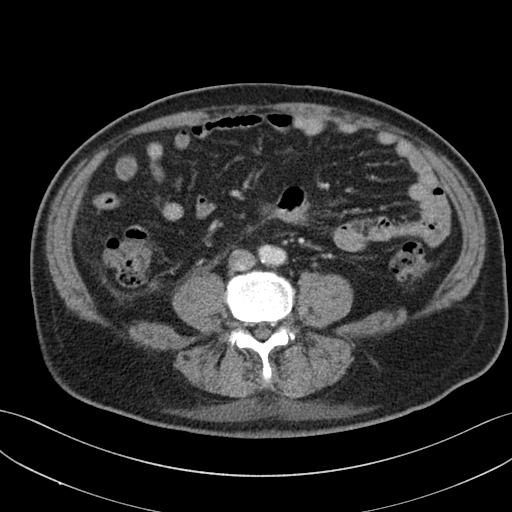
Summary:
Multiphase abdominal CT, liver, portal venous phase. Patient: male, age 69.